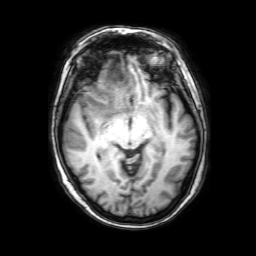
• modality: 3 Tesla brain MRI
• series: 3D T1-weighted with SENSE
• study: ring-enhancing brain masses